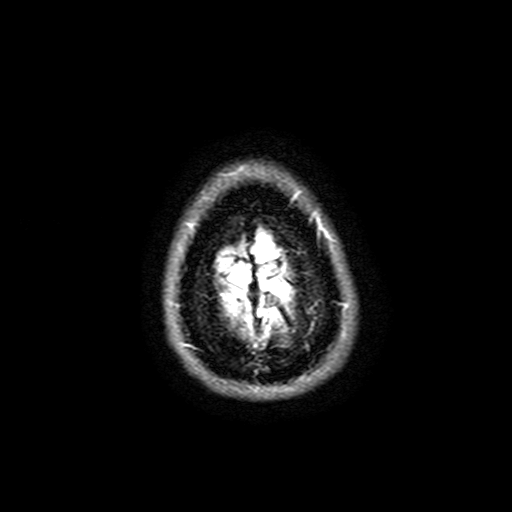
  modality:
    type: brain MRI
    field_strength: 3T
  series: FLAIR with SPAIR, 3 mm
  study_topic: ring-enhancing brain masses